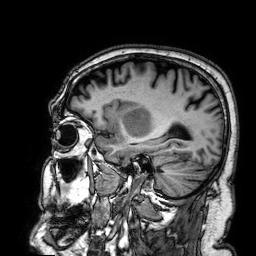
Summary: 3 Tesla brain MRI. Series: 3D T1-weighted. Study: ring-enhancing brain masses.